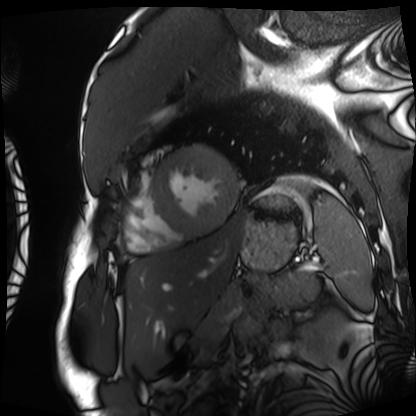
• modality · cardiac MRI
• subject group · patient